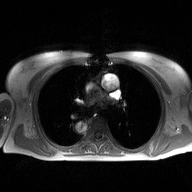
modality = 2D phase-contrast cine MRI of the ascending aorta.